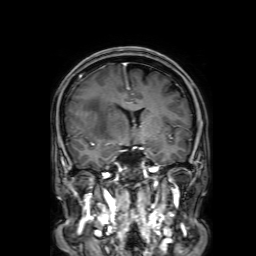
modality = 3 Tesla brain MRI | series = 3D T1-weighted with SENSE | study = ring-enhancing brain masses.